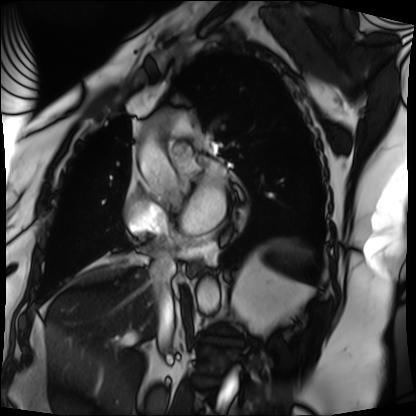
modality: cardiac MRI; subject group: patient.